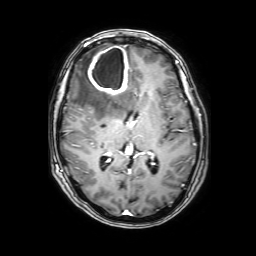
• modality · 3 Tesla brain MRI
• series · 3D T1-weighted with SENSE
• study · ring-enhancing brain masses